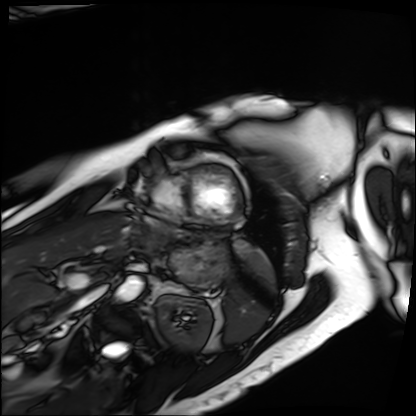
- modality — cardiac MRI
- subject group — patient